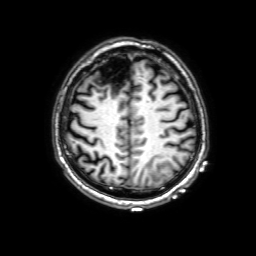
– modality: 3 Tesla brain MRI
– study: ring-enhancing brain masses